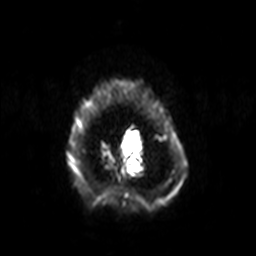
• modality · 3 Tesla brain MRI
• series · diffusion-weighted imaging with SENSE (WIP)
• study · ring-enhancing brain masses